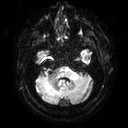
- modality: 3 Tesla brain MRI
- series: diffusion tensor imaging (medium iso)
- study: ring-enhancing brain masses